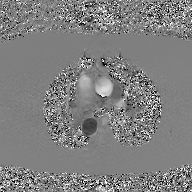
modality:
  type: 2D phase-contrast cine MRI
  region: ascending aorta
  reconstruction: GAN super-resolution reconstruction